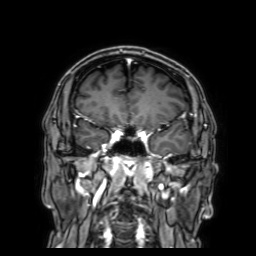
- modality: 3 Tesla brain MRI
- series: 3D T1-weighted with SENSE
- study: ring-enhancing brain masses